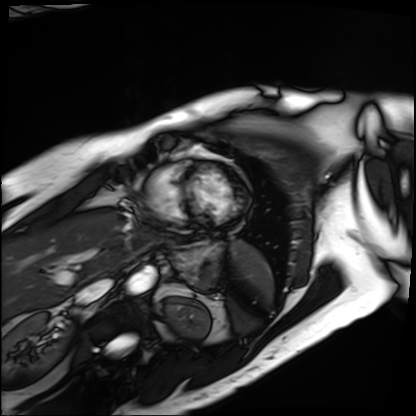
Cardiac MRI.
Subject group: patient.